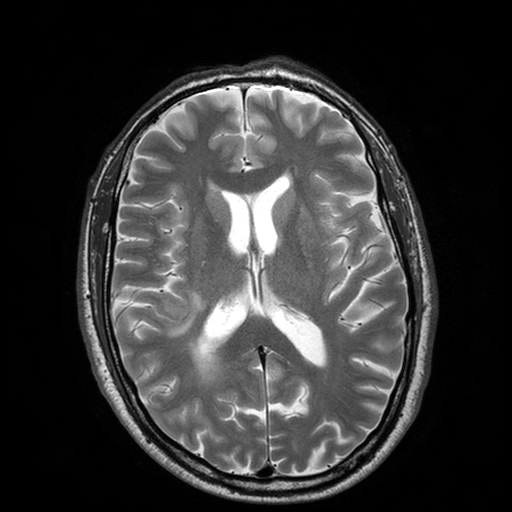
3 Tesla brain MRI. Series: T2-weighted turbo spin echo with SENSE. Study: ring-enhancing brain masses.